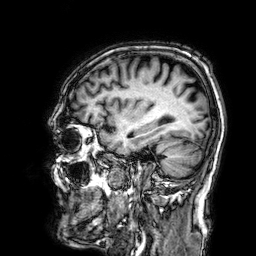
Summary:
3 Tesla brain MRI. Series: 3D T1-weighted. Study: ring-enhancing brain masses.